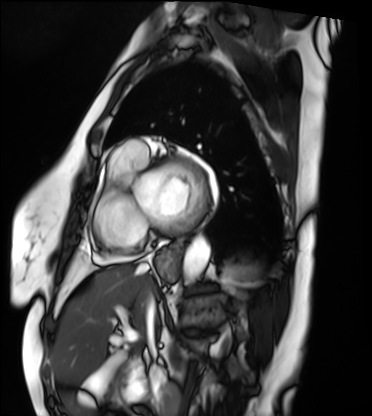
Case summary:
Cardiac MRI. Subject group: patient.